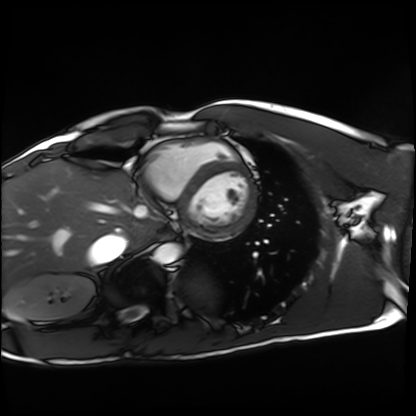
Cardiac MRI.
Subject group: healthy volunteer.